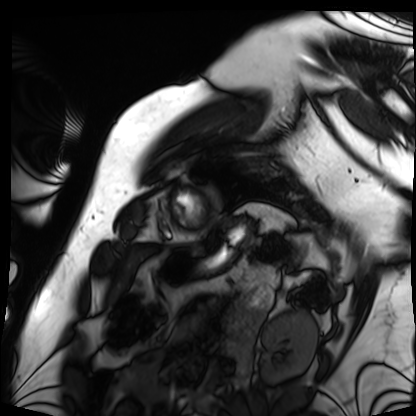
Case summary: Cardiac MRI. Subject group: patient.